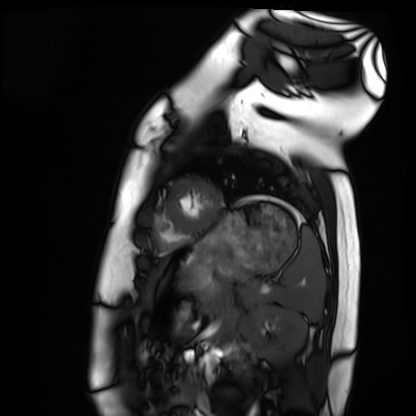
modality=cardiac MRI | subject group=healthy volunteer.